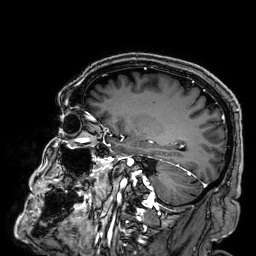
<scan>
<modality>
  <type>brain MRI</type>
  <field_strength>3T</field_strength>
</modality>
<series>3D T1-weighted</series>
<study_topic>ring-enhancing brain masses</study_topic>
</scan>